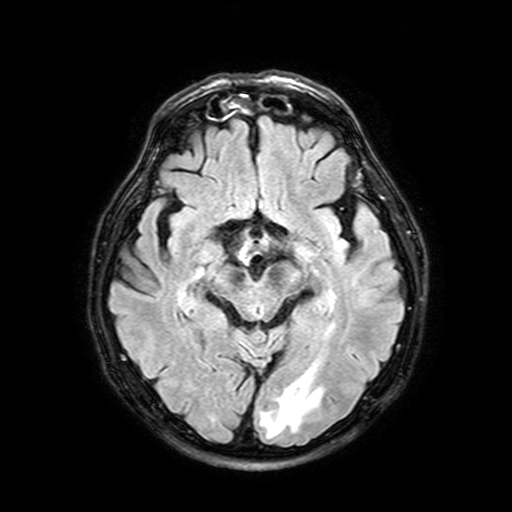
3 Tesla brain MRI.
Series: FLAIR with SPAIR, 3 mm.
Study: ring-enhancing brain masses.